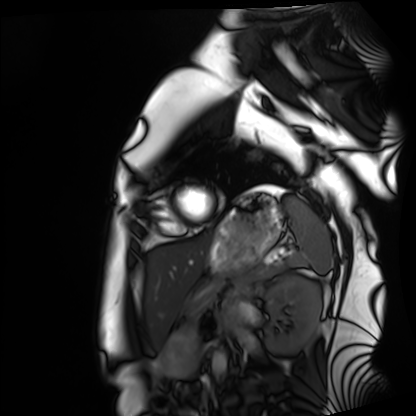
modality = cardiac MRI, subject group = healthy volunteer.